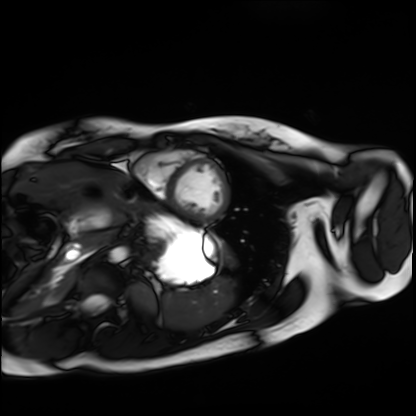
modality: cardiac MRI | subject group: healthy volunteer.